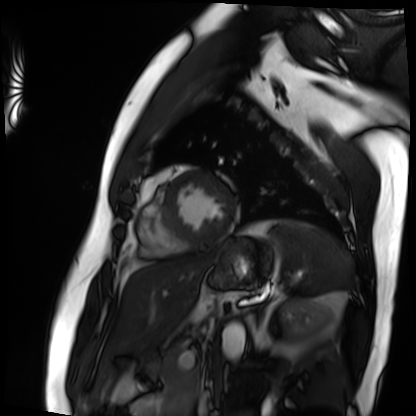
Cardiac MRI. Subject group: patient.